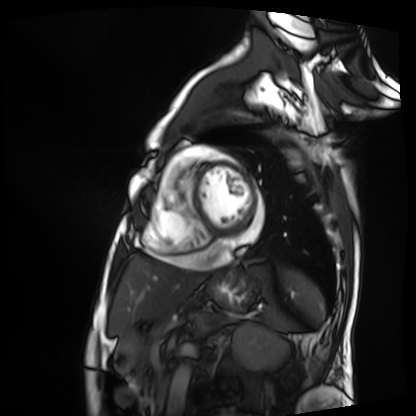
Q: What kind of scan is this?
A: Cardiac MRI.
Subject group: patient.